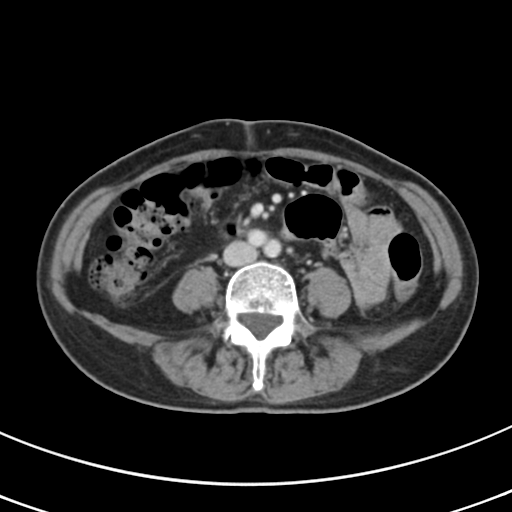
{"modality": {"type": "multiphase abdominal CT", "region": "liver", "phase": "portal venous"}, "patient": {"sex": "female", "age": 68}, "history": ["prior chemotherapy"]}